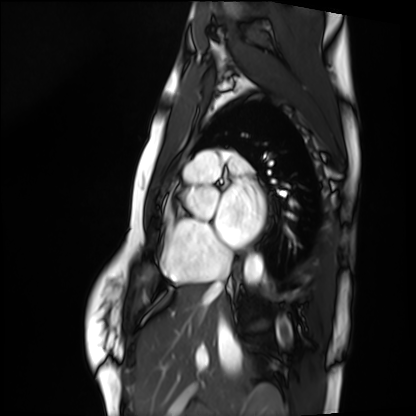
Case summary: Cardiac MRI. Subject group: healthy volunteer.